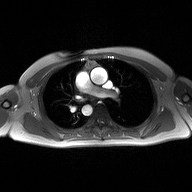
2D phase-contrast cine MRI of the ascending aorta, high-resolution GRAPPA acquisition.